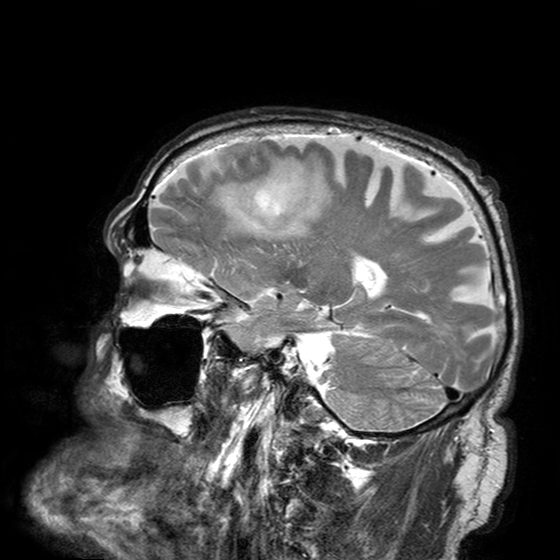
3 Tesla brain MRI.
Series: T2-weighted turbo spin echo with SENSE.
Study: ring-enhancing brain masses.